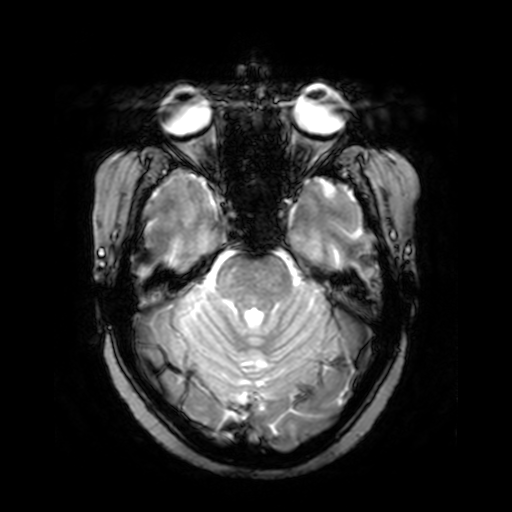
3 Tesla brain MRI.
Series: T2-weighted fast field echo.
Study: ring-enhancing brain masses.